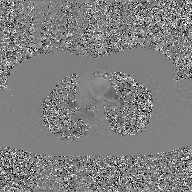
Clinical context:
2D phase-contrast cine MRI of the ascending aorta, GAN super-resolution reconstruction.